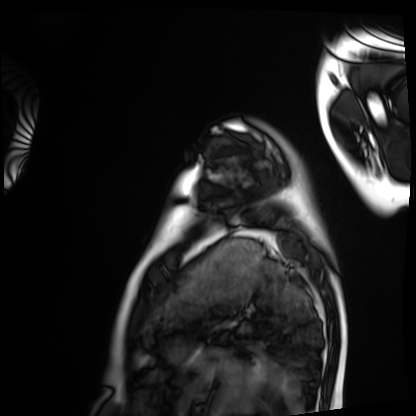
Cardiac MRI. Subject group: healthy volunteer.